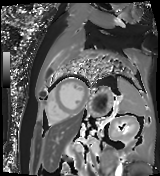
Cardiac MR image of the myocardium. Subject cohort: cardiac patient.